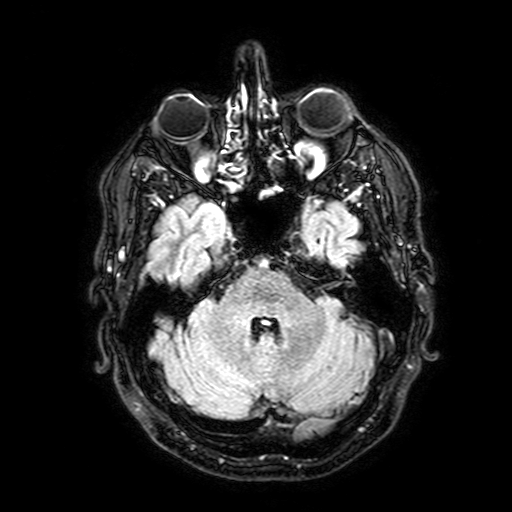
3 Tesla brain MRI. Series: FLAIR with SPAIR, 3 mm. Study: ring-enhancing brain masses.